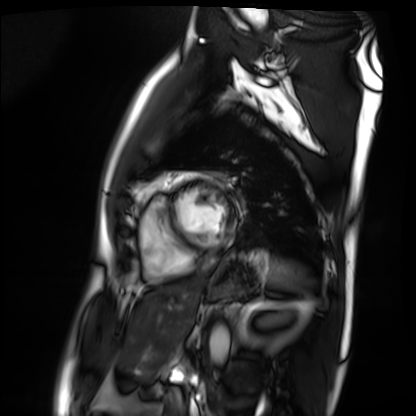
modality: cardiac MRI
cohort: patient